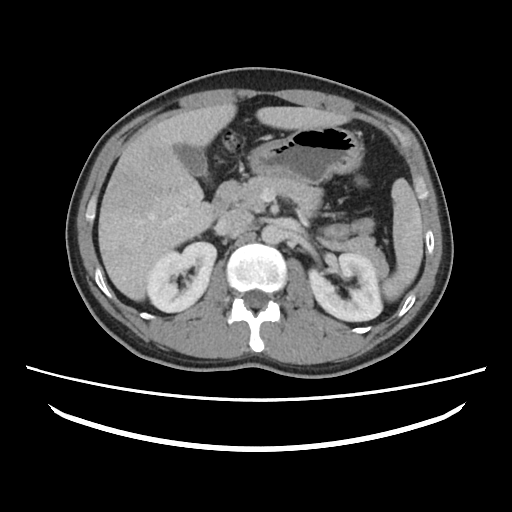
Multiphase abdominal CT, liver, portal venous phase. Patient: female, age 37.